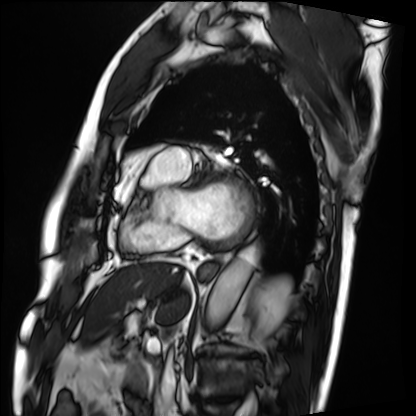
  modality: cardiac MRI
  cohort: patient